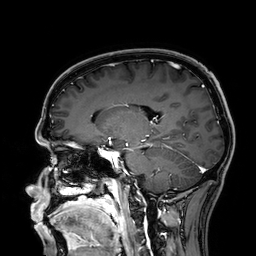
Case:
* modality: 3 Tesla brain MRI
* series: 3D T1-weighted
* study: ring-enhancing brain masses